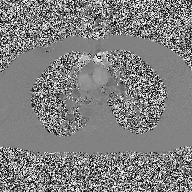
2D phase-contrast cine MRI of the ascending aorta, high-resolution GRAPPA acquisition.